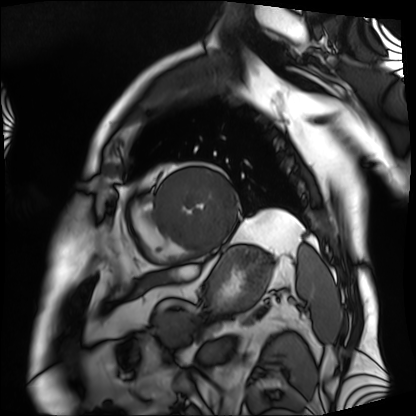
modality = cardiac MRI, subject group = patient.